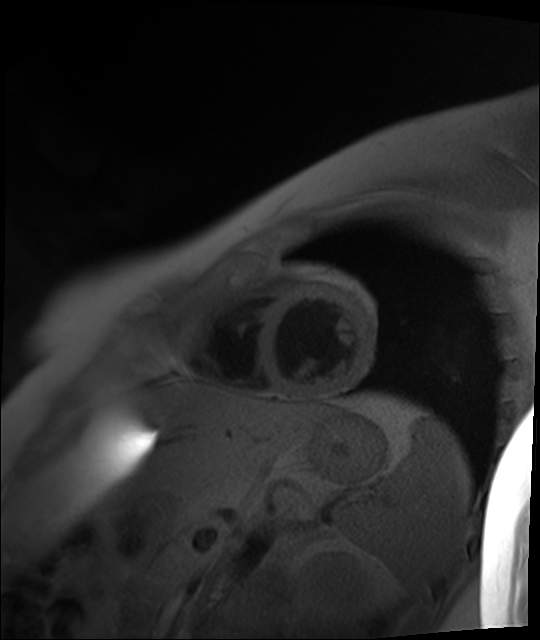
Cardiac MR image of the myocardium. Subject cohort: healthy volunteer.